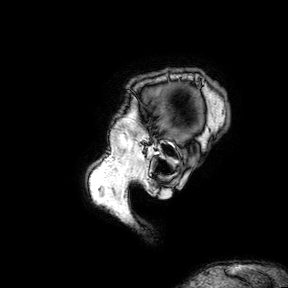
<case>
<modality>
  <type>brain MRI</type>
  <field_strength>3T</field_strength>
</modality>
<series>3D T1-weighted turbo field echo with SENSE</series>
<study_topic>ring-enhancing brain masses</study_topic>
</case>